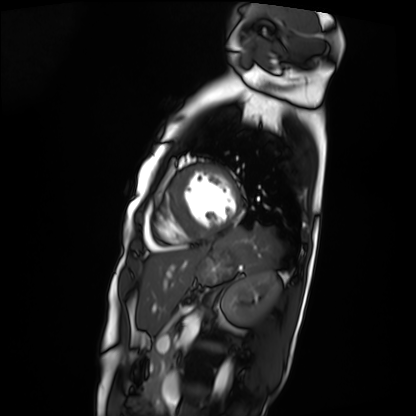
Cardiac MRI.
Subject group: patient.